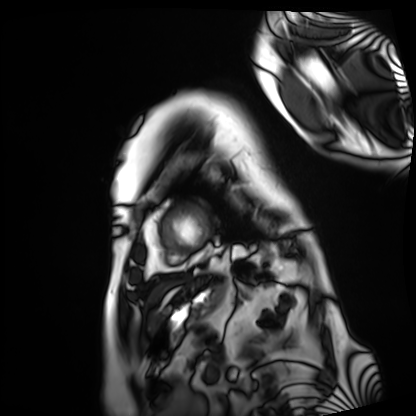
– modality · cardiac MRI
– subject group · patient